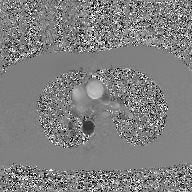
modality: 2D phase-contrast cine MRI of the ascending aorta, GAN super-resolution reconstruction.